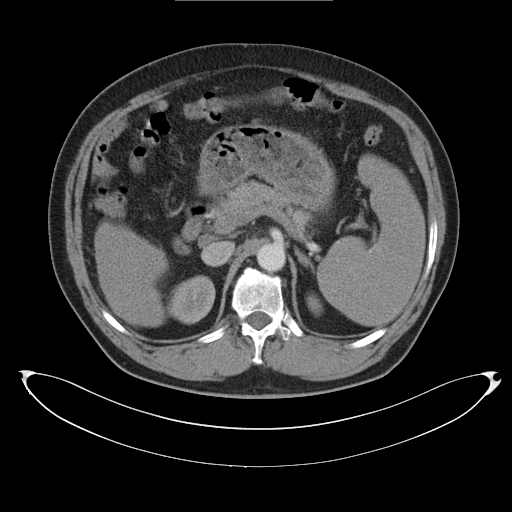
Clinical context: Multiphase abdominal CT, liver, arterial phase.